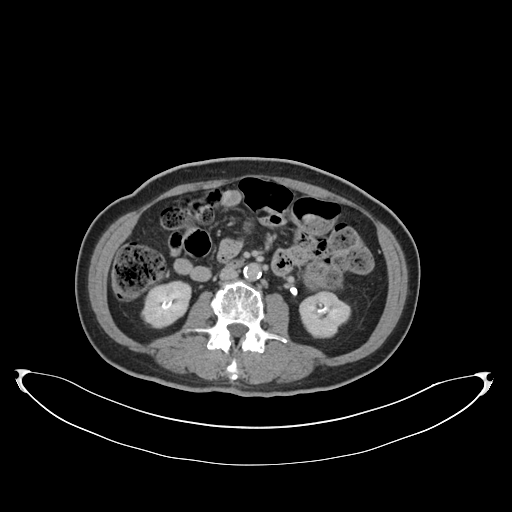
Summary:
Multiphase abdominal CT, liver, delayed phase. Patient: female, age 60.